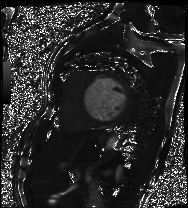
Cardiac MRI.
Subject group: patient.